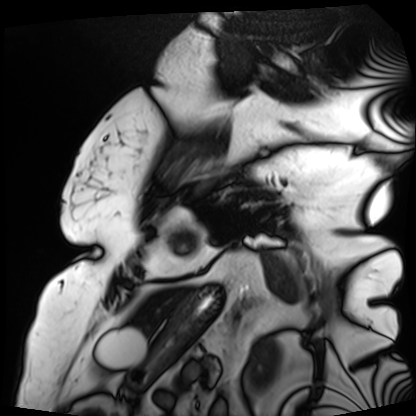
Summary:
Cardiac MRI. Subject group: patient.